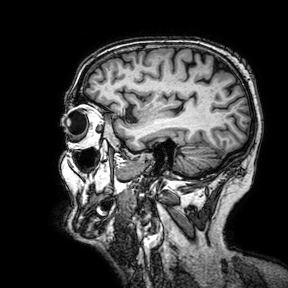
Case summary: 3 Tesla brain MRI. Series: 3D T1-weighted turbo field echo with SENSE. Study: ring-enhancing brain masses.